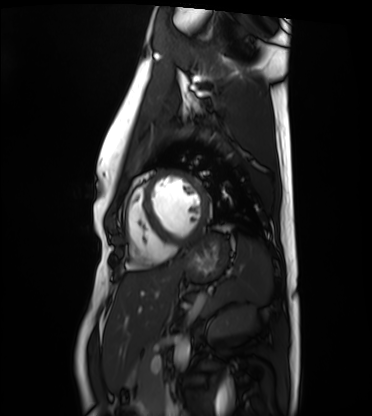
Summary: Cardiac MRI. Subject group: healthy volunteer.